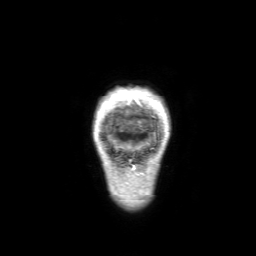
3 Tesla brain MRI. Series: 3D T1-weighted with SENSE. Study: ring-enhancing brain masses.